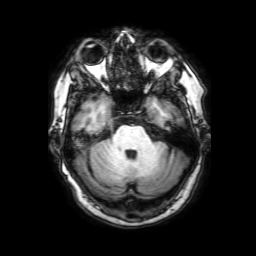
Case:
• modality · 3 Tesla brain MRI
• series · 3D T1-weighted with SENSE
• study · ring-enhancing brain masses